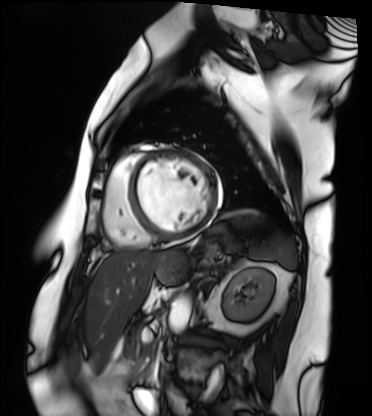
{"modality": "cardiac MRI", "cohort": "patient"}